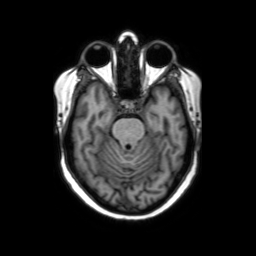
Q: What kind of scan is this?
A: 3 Tesla brain MRI.
Q: Series?
A: Axial without contrast.
Study: ring-enhancing brain masses.